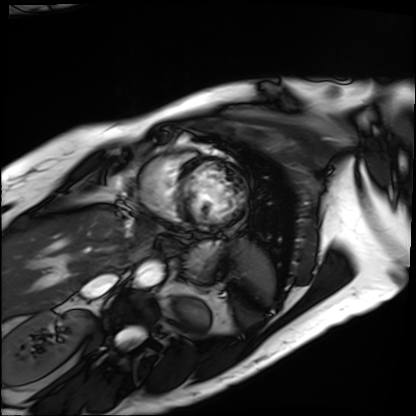
modality: cardiac MRI
subject group: patient